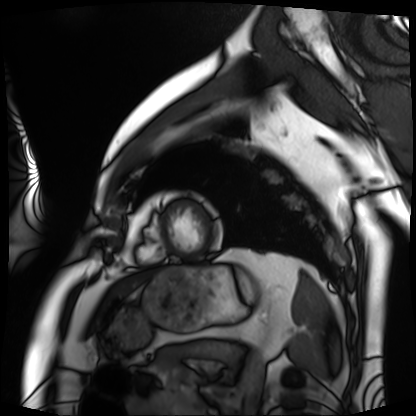
Cardiac MRI.
Subject group: patient.